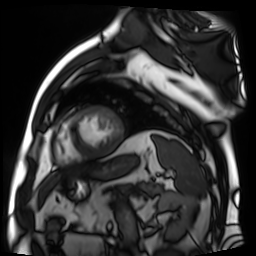
Cardiac MR image of the myocardium.
Subject cohort: cardiac patient.